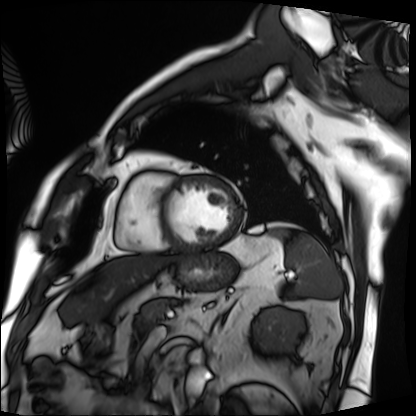
Q: What kind of scan is this?
A: Cardiac MRI.
Subject group: patient.